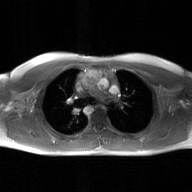
Q: What kind of scan is this?
A: 2D phase-contrast cine MRI of the ascending aorta, GAN super-resolution reconstruction.